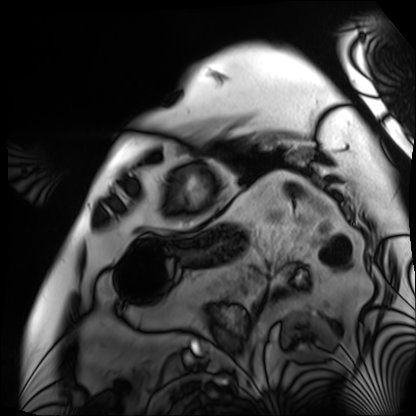
Cardiac MRI.
Subject group: patient.